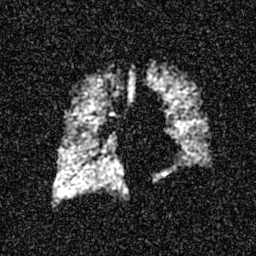
Summary: Hyperpolarized 129Xe ventilation MRI of the lungs. SNR level 5 of 8 (the deposit holds this scan as its native image and as seven SNR-degraded versions).